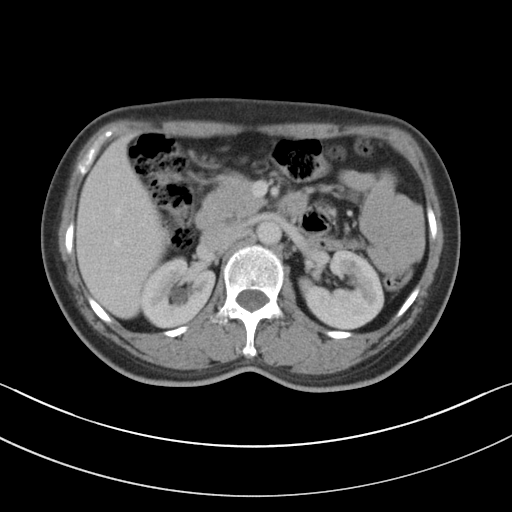
Q: What kind of scan is this?
A: Multiphase abdominal CT, liver, portal venous phase.
Q: Patient?
A: Female, age 56.